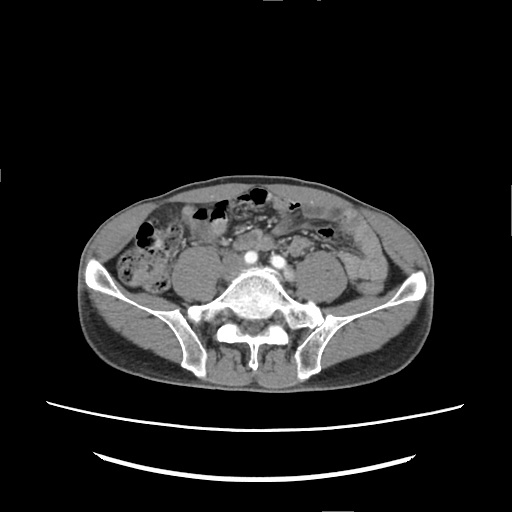
modality=multiphase abdominal CT, liver, arterial phase | patient=male, age 60.